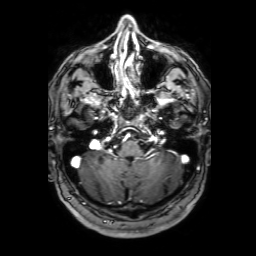
{
  "modality": {
    "type": "brain MRI",
    "field_strength": "3T"
  },
  "series": "3D T1-weighted with SENSE",
  "study_topic": "ring-enhancing brain masses"
}